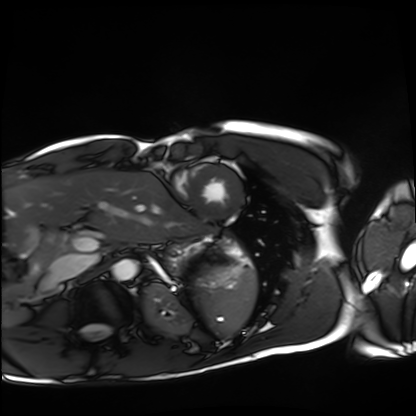
Clinical context:
Cardiac MRI. Subject group: healthy volunteer.